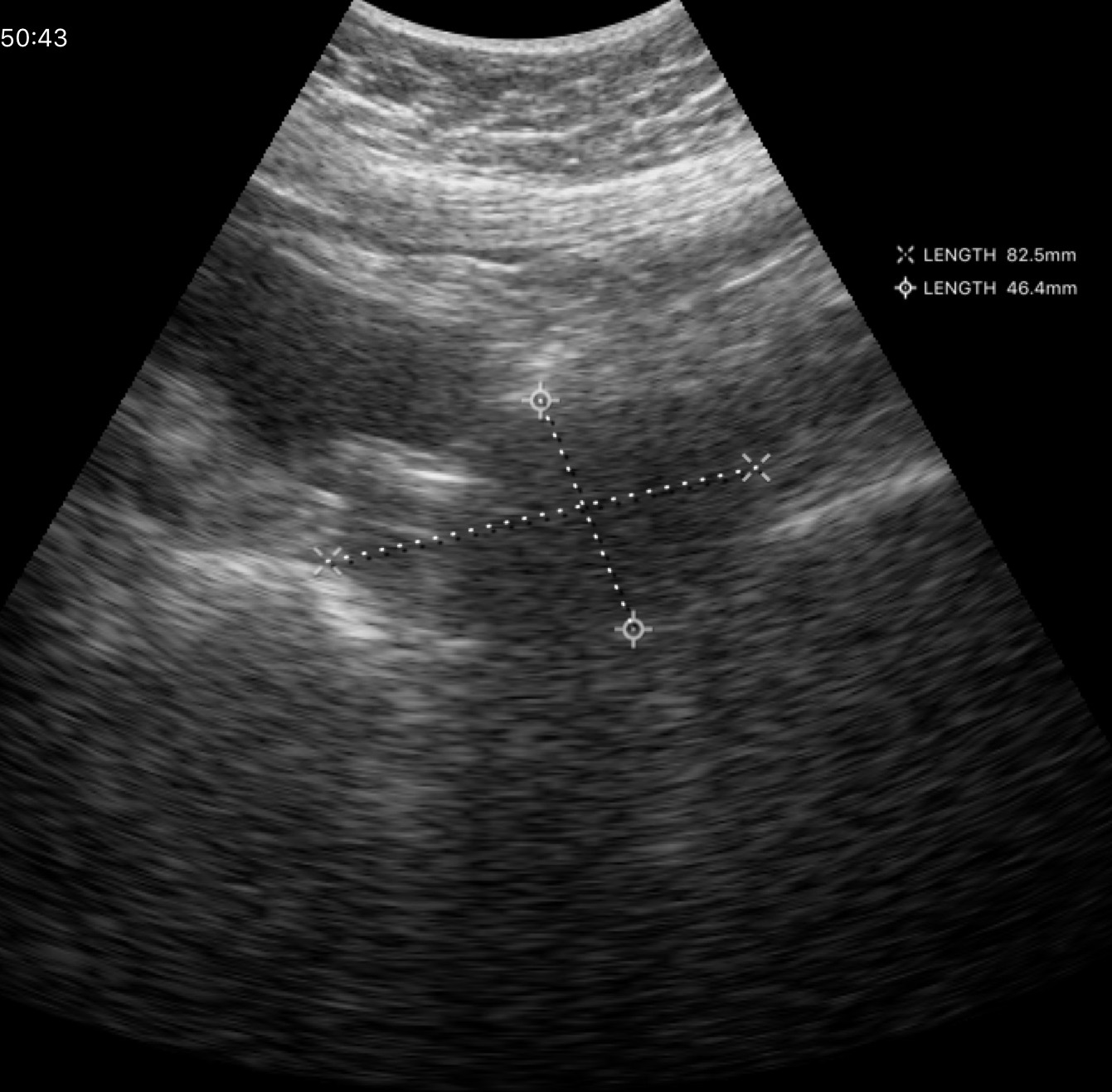
modality = genitourinary ultrasound.